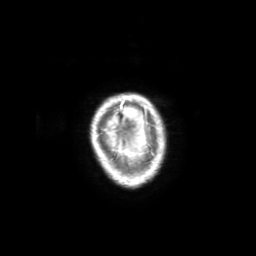
modality:
  type: brain MRI
  field_strength: 3T
series: 3D T1-weighted with SENSE
study_topic: ring-enhancing brain masses